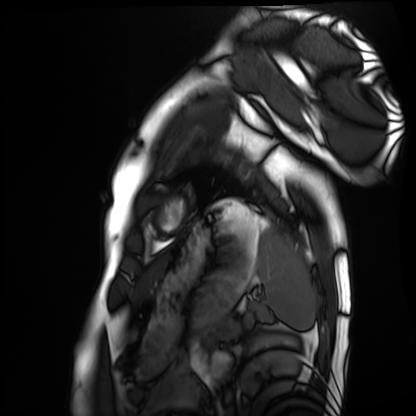
Cardiac MRI. Subject group: healthy volunteer.